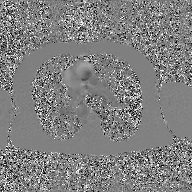
2D phase-contrast cine MRI of the ascending aorta, GAN super-resolution reconstruction.